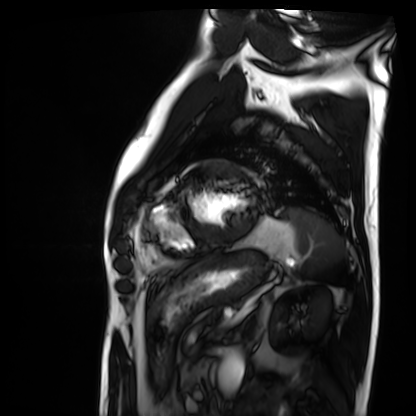
Clinical context:
Cardiac MRI. Subject group: patient.